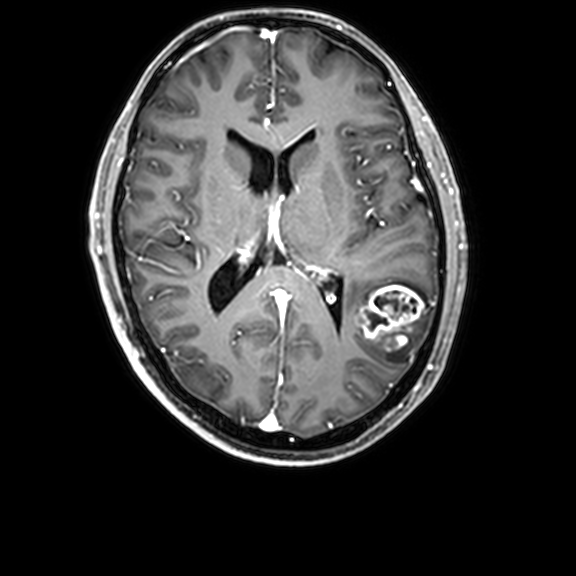
  modality:
    type: brain MRI
    field_strength: 3T
  series: 3D T1-weighted with CLEAR
  study_topic: ring-enhancing brain masses